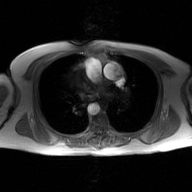
Summary: 2D phase-contrast cine MRI of the ascending aorta, GAN super-resolution reconstruction.